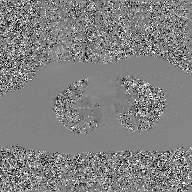
- modality — 2D phase-contrast cine MRI of the ascending aorta, GAN super-resolution reconstruction